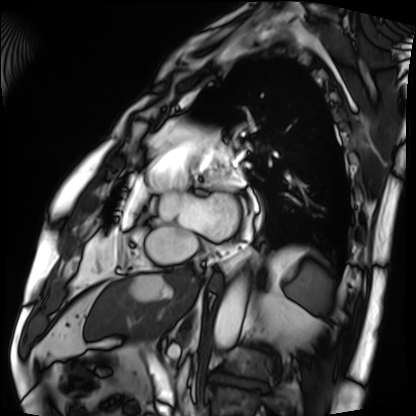
Cardiac MRI. Subject group: patient.